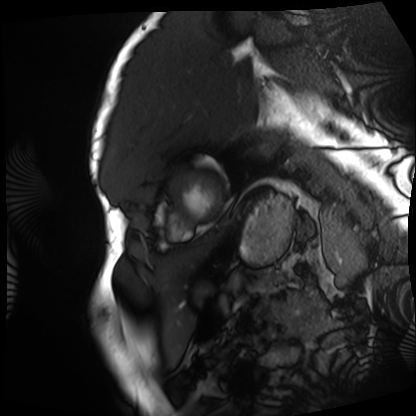
Q: What kind of scan is this?
A: Cardiac MRI.
Subject group: patient.